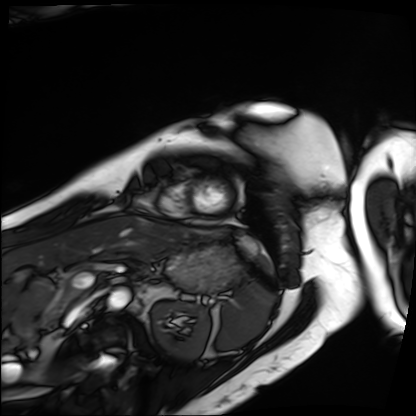
Case summary: Cardiac MRI. Subject group: patient.